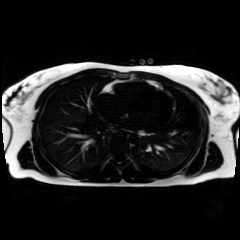
Case summary:
Chemical-shift-encoded cardiac MRI.